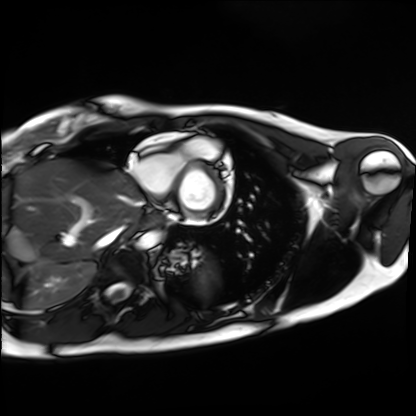
modality: cardiac MRI | subject group: healthy volunteer.